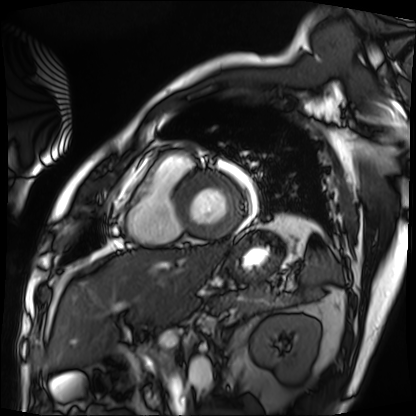
- modality · cardiac MRI
- subject group · patient